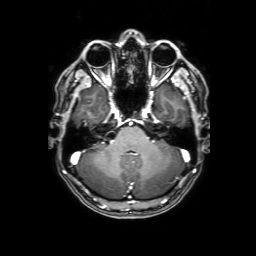
Clinical context: 3 Tesla brain MRI. Series: 3D T1-weighted with SENSE. Study: ring-enhancing brain masses.